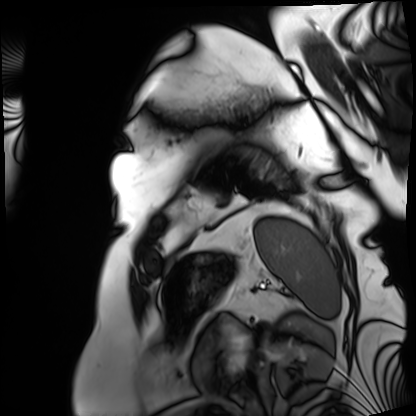
Cardiac MRI.
Subject group: patient.